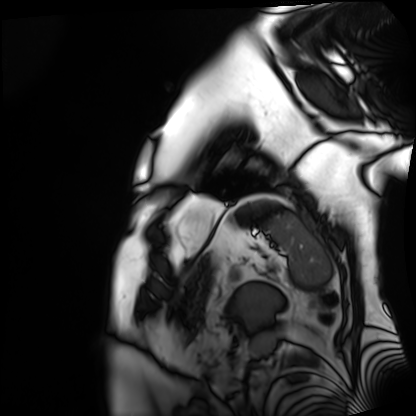
Case summary: Cardiac MRI. Subject group: patient.